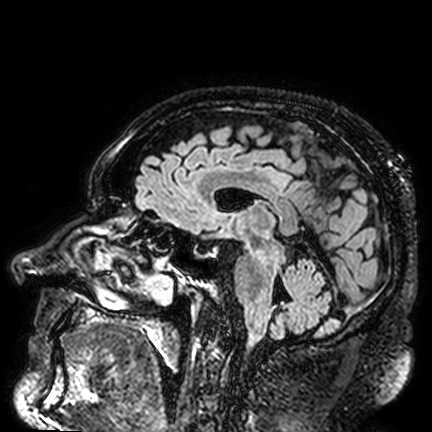
- modality: 3 Tesla brain MRI
- study: ring-enhancing brain masses